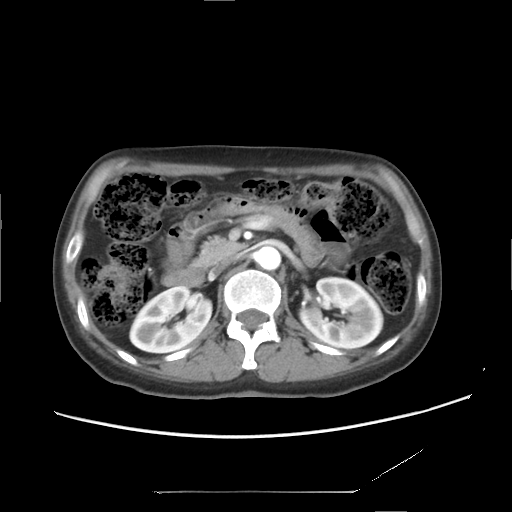
<scan>
<modality>
  <type>multiphase abdominal CT</type>
  <region>liver</region>
  <phase>arterial</phase>
</modality>
<patient>
  <sex>female</sex>
  <age>53</age>
</patient>
</scan>